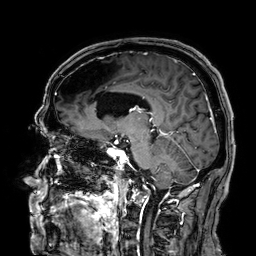
3 Tesla brain MRI.
Series: 3D T1-weighted.
Study: ring-enhancing brain masses.